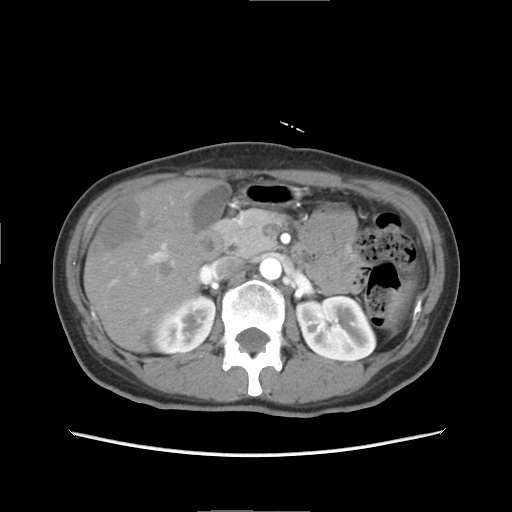
Case:
• modality: multiphase abdominal CT, liver, arterial phase
• patient: female, age 47